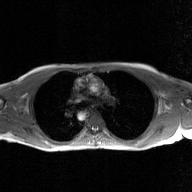
– modality: 2D phase-contrast cine MRI of the ascending aorta, GAN super-resolution reconstruction